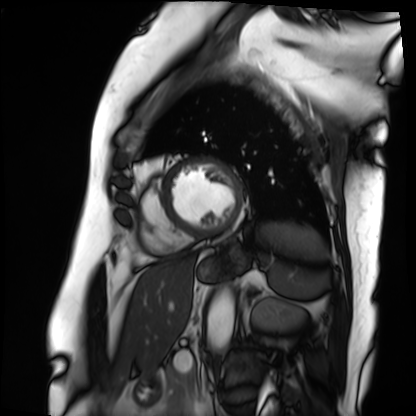
Q: What kind of scan is this?
A: Cardiac MRI.
Subject group: patient.